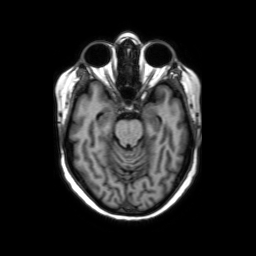
3 Tesla brain MRI. Series: axial without contrast. Study: ring-enhancing brain masses.